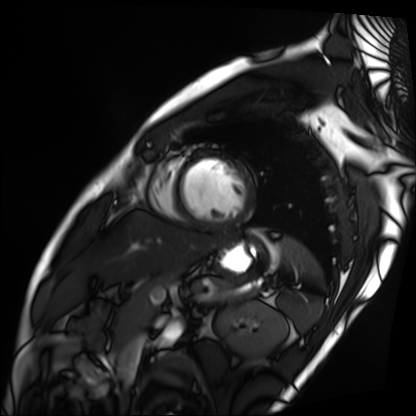
Case summary: Cardiac MRI. Subject group: patient.